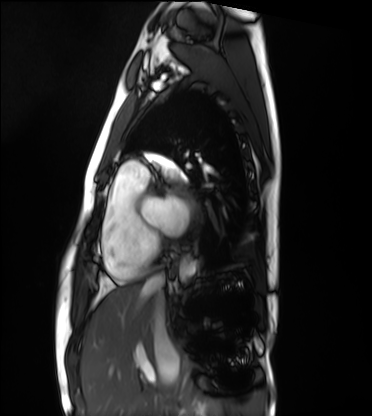
Summary: Cardiac MRI. Subject group: healthy volunteer.